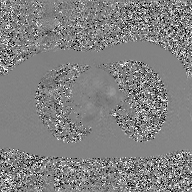
modality: 2D phase-contrast cine MRI of the ascending aorta, GAN super-resolution reconstruction.